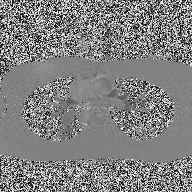
modality: 2D phase-contrast cine MRI of the ascending aorta.